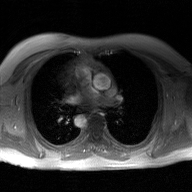
modality: 2D phase-contrast cine MRI of the ascending aorta, GAN super-resolution reconstruction.